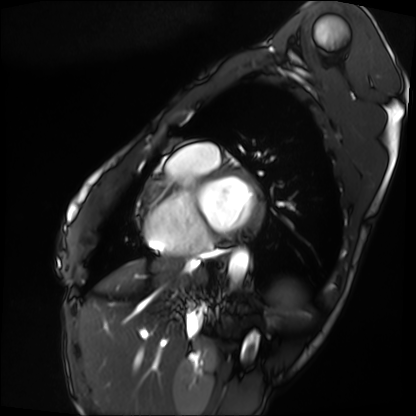
{
  "modality": "cardiac MRI",
  "cohort": "patient"
}